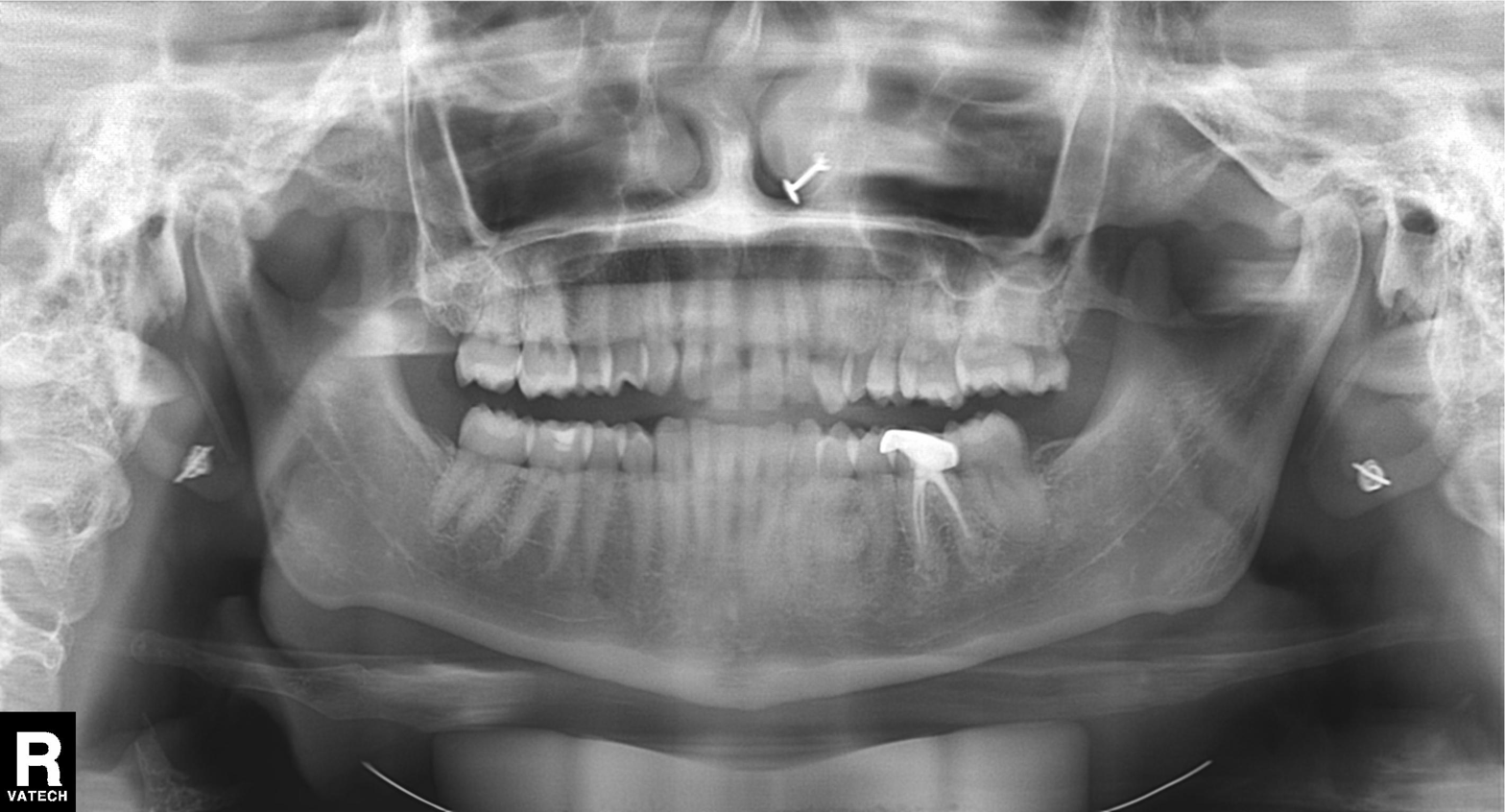
Case summary:
Panoramic dental radiograph (orthopantomogram).
Assessment:
Alveolar bone loss.